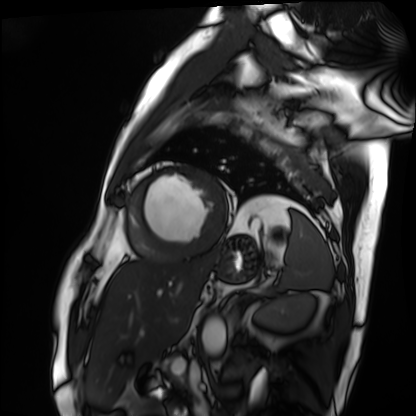
Q: What kind of scan is this?
A: Cardiac MRI.
Subject group: patient.